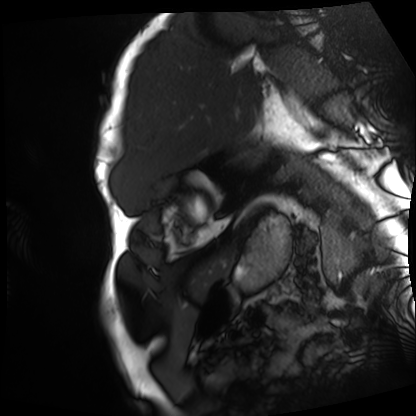
modality: cardiac MRI
cohort: patient